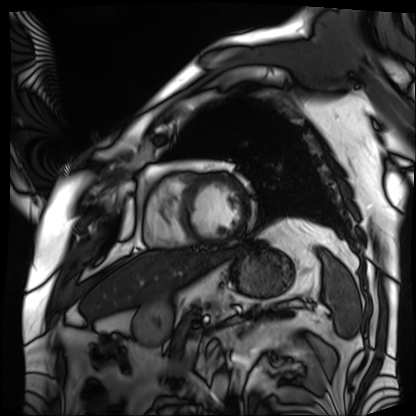
Clinical context:
Cardiac MRI. Subject group: patient.